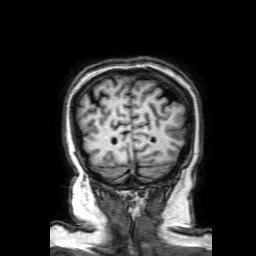
3 Tesla brain MRI.
Series: 3D T1-weighted with SENSE.
Study: ring-enhancing brain masses.